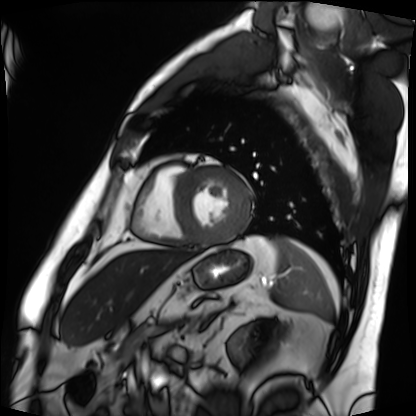
Cardiac MRI. Subject group: patient.